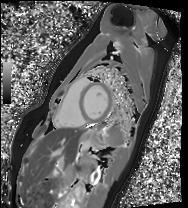
Clinical context: Cardiac MRI. Subject group: healthy volunteer.